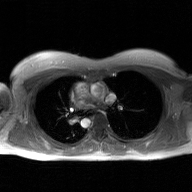
2D phase-contrast cine MRI of the ascending aorta, GAN super-resolution reconstruction.